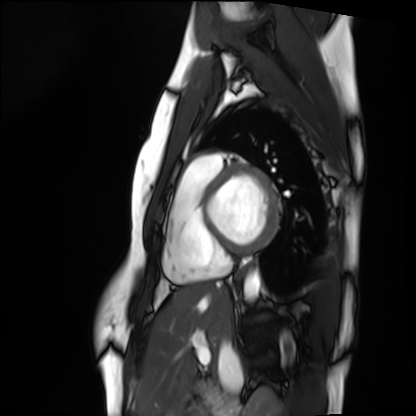
Clinical context:
Cardiac MRI. Subject group: healthy volunteer.